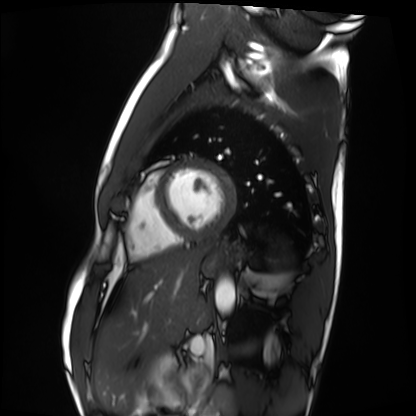
modality: cardiac MRI
subject group: healthy volunteer